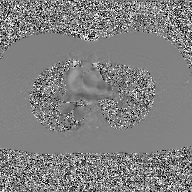
Summary:
2D phase-contrast cine MRI of the ascending aorta, GAN super-resolution reconstruction.